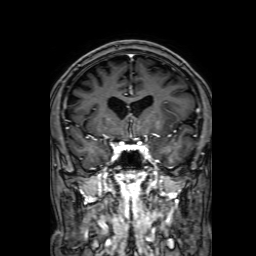
3 Tesla brain MRI. Series: 3D T1-weighted with SENSE. Study: ring-enhancing brain masses.